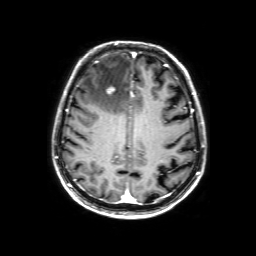
Case summary: 3 Tesla brain MRI. Series: 3D T1-weighted with SENSE. Study: ring-enhancing brain masses.